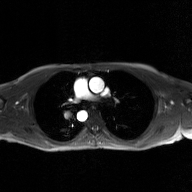
2D phase-contrast cine MRI of the ascending aorta, GAN super-resolution reconstruction.